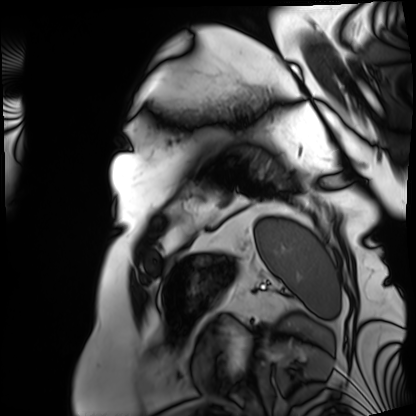
Q: What kind of scan is this?
A: Cardiac MRI.
Subject group: patient.